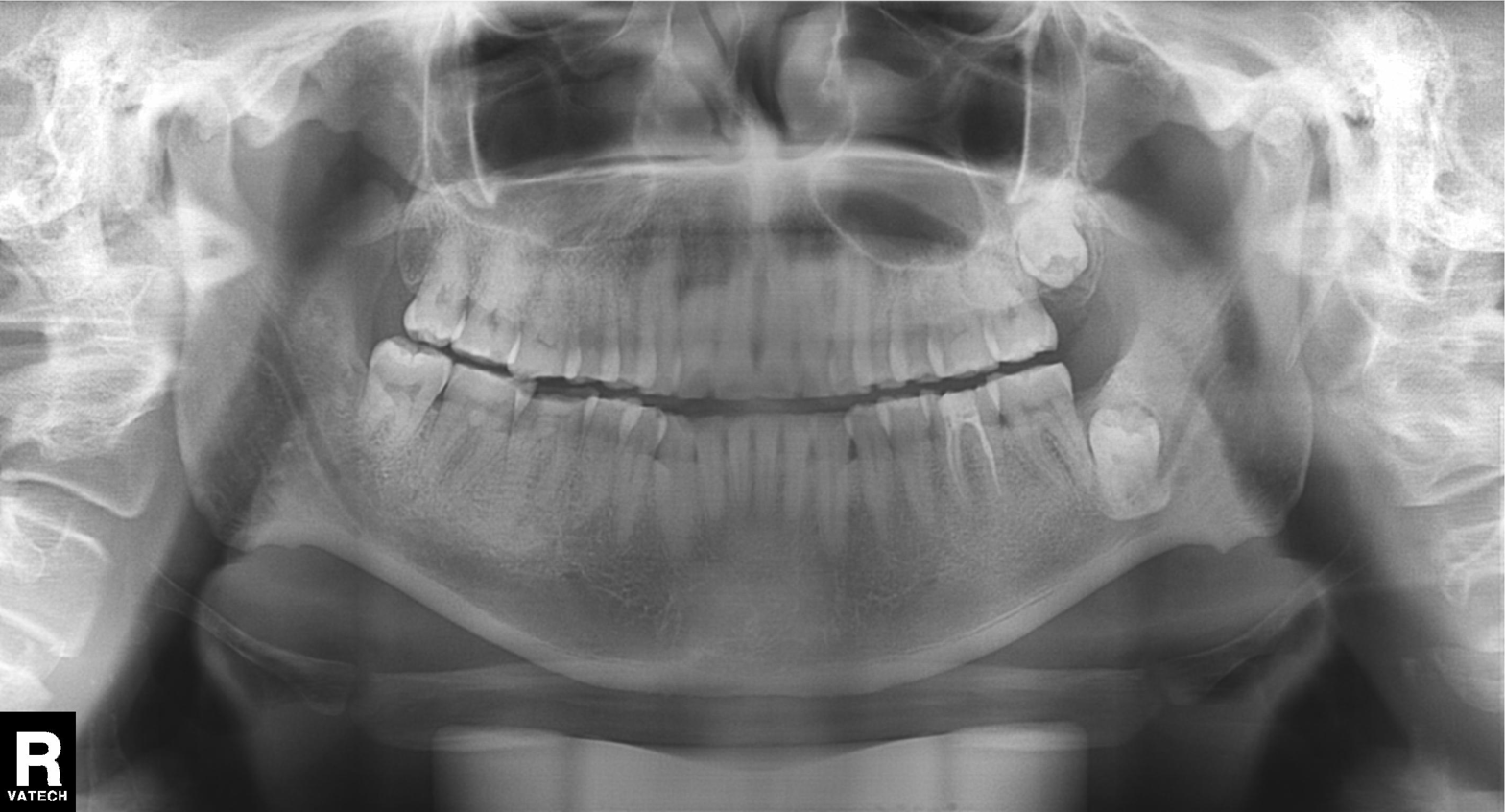
Findings:
• modality — panoramic dental radiograph (orthopantomogram)
• finding — dental caries (cavities)